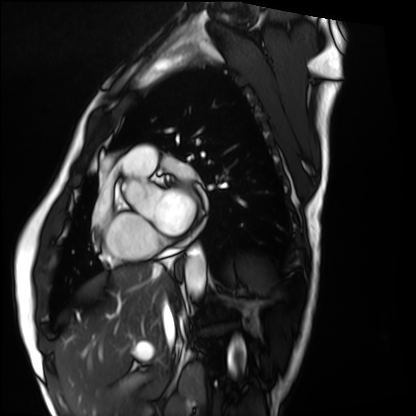
Q: What kind of scan is this?
A: Cardiac MRI.
Subject group: healthy volunteer.